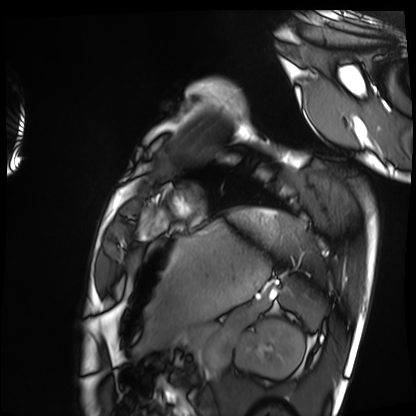
- modality — cardiac MRI
- subject group — healthy volunteer